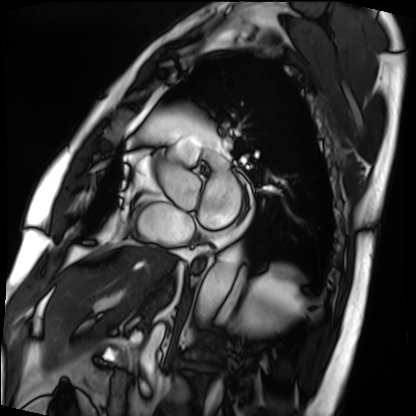
modality — cardiac MRI; subject group — patient.